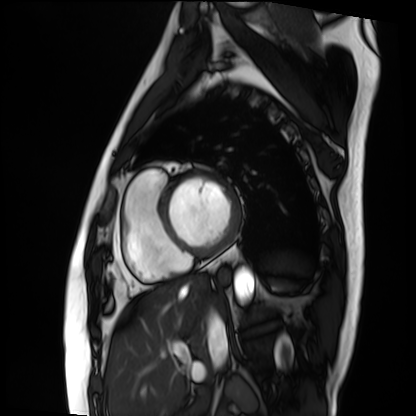
Q: What kind of scan is this?
A: Cardiac MRI.
Subject group: patient.